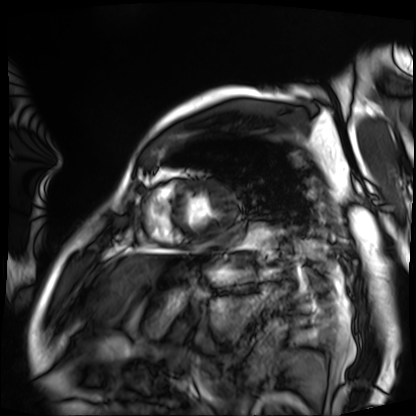
Cardiac MRI. Subject group: patient.